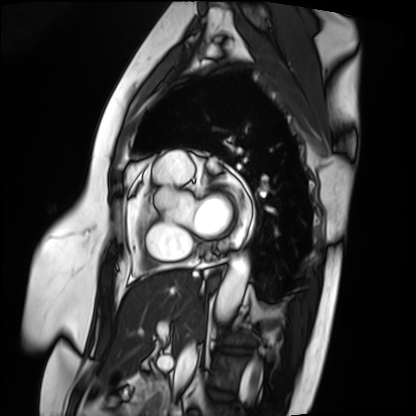
Cardiac MRI. Subject group: patient.